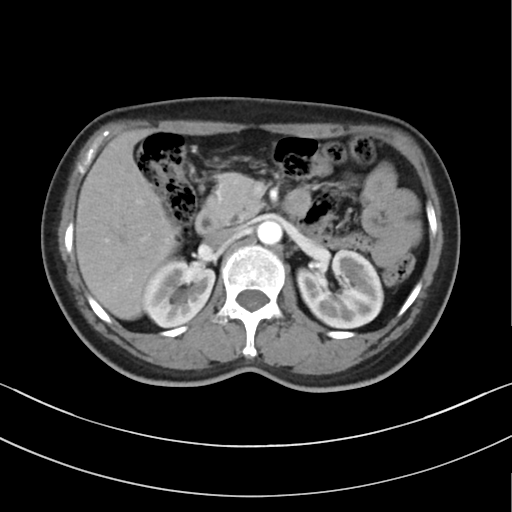
Multiphase abdominal CT, liver, arterial phase. Patient: female, age 56.